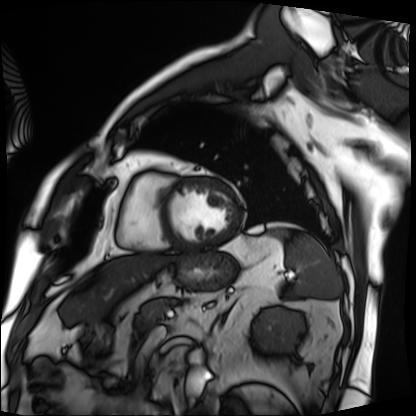
{"modality": "cardiac MRI", "cohort": "patient"}